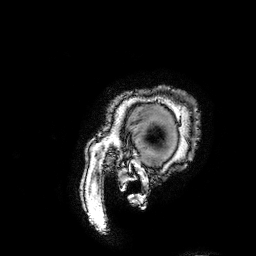
Summary: 3 Tesla brain MRI. Series: 3D T1-weighted turbo field echo with SENSE. Study: ring-enhancing brain masses.